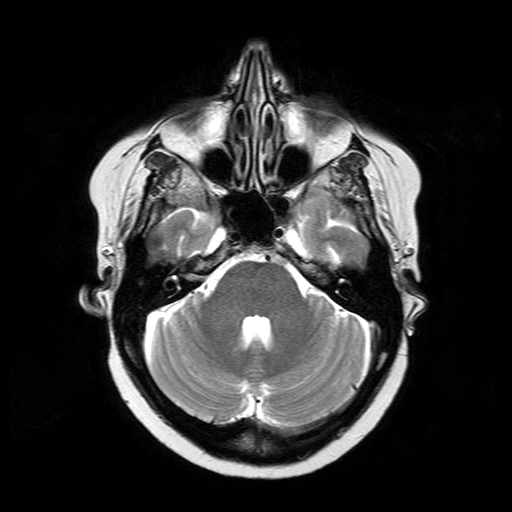
| field | value |
|---|---|
| modality | 3 Tesla brain MRI |
| series | T2-weighted turbo spin echo |
| study | ring-enhancing brain masses |